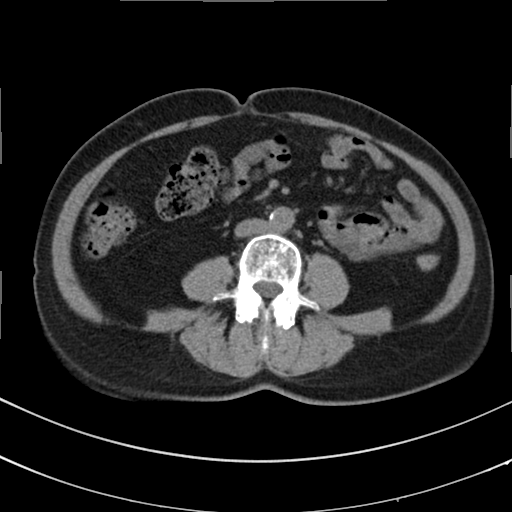
Multiphase abdominal CT, liver, non-contrast phase. Patient: female, age 67.